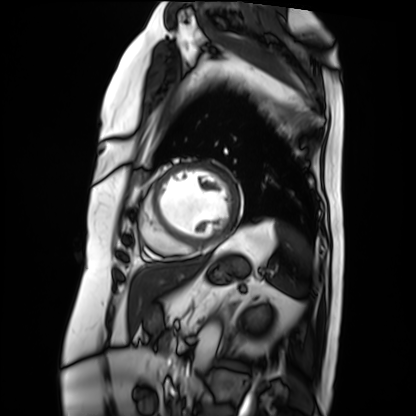
Cardiac MRI. Subject group: patient.